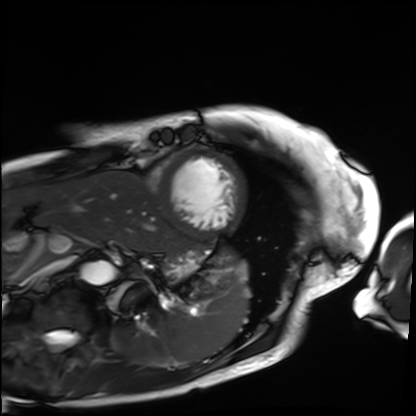
Cardiac MRI. Subject group: patient.